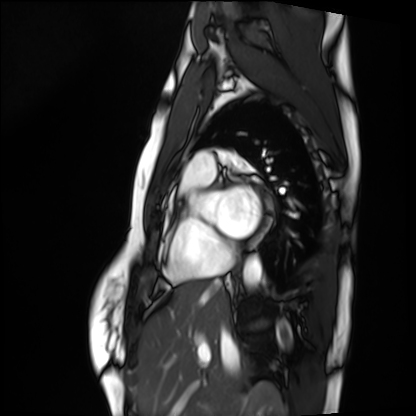
Q: What kind of scan is this?
A: Cardiac MRI.
Subject group: healthy volunteer.